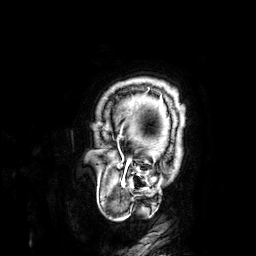
• modality — 3 Tesla brain MRI
• series — 3D T1-weighted
• study — ring-enhancing brain masses